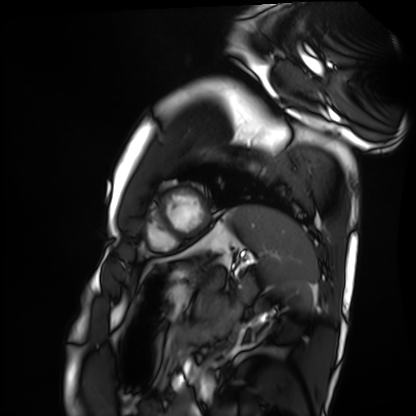
| field | value |
|---|---|
| modality | cardiac MRI |
| subject group | healthy volunteer |